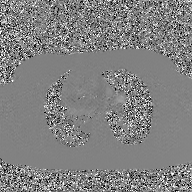
Summary:
2D phase-contrast cine MRI of the ascending aorta, GAN super-resolution reconstruction.